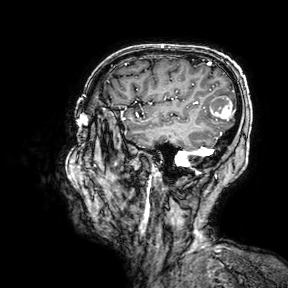
Q: What kind of scan is this?
A: 3 Tesla brain MRI.
Study: ring-enhancing brain masses.